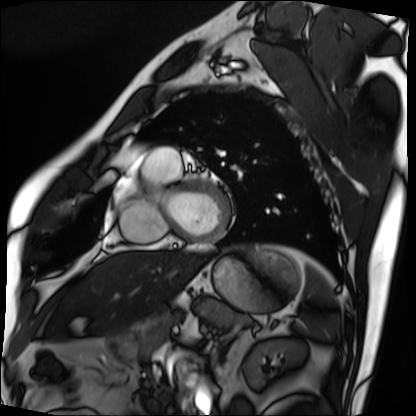
Cardiac MRI. Subject group: patient.